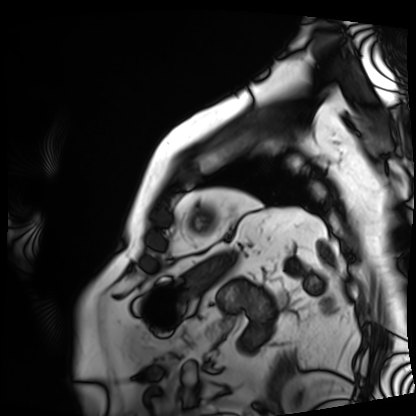
Clinical context:
Cardiac MRI. Subject group: patient.